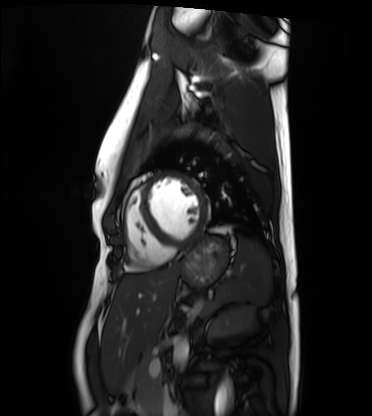
Summary: Cardiac MRI. Subject group: healthy volunteer.